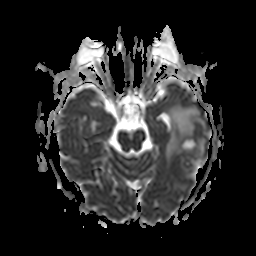
Q: What kind of scan is this?
A: 3 Tesla brain MRI.
Q: Series?
A: Apparent diffusion coefficient (ADC) map.
Study: ring-enhancing brain masses.